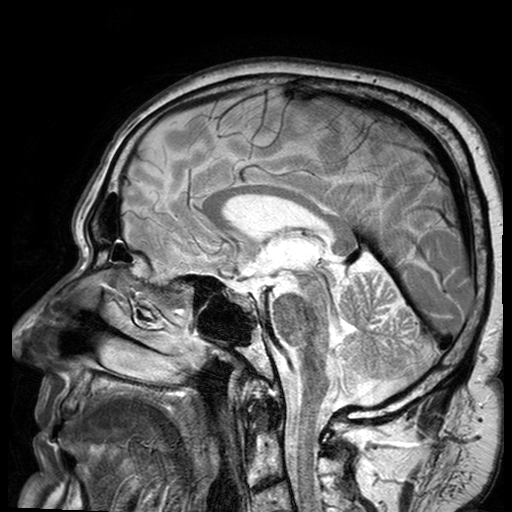
Summary: 3 Tesla brain MRI. Series: T2-weighted turbo spin echo with SENSE. Study: ring-enhancing brain masses.